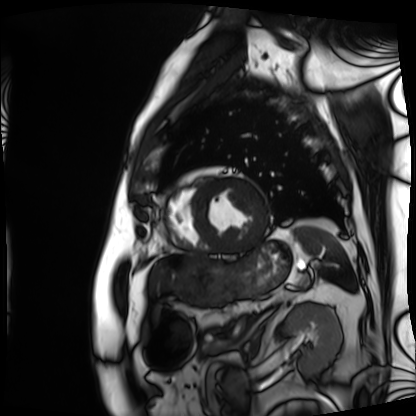
- modality — cardiac MRI
- subject group — patient